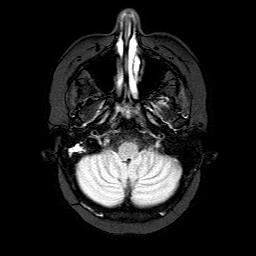
| field | value |
|---|---|
| modality | 3 Tesla brain MRI |
| series | FLAIR with SPAIR |
| study | ring-enhancing brain masses |